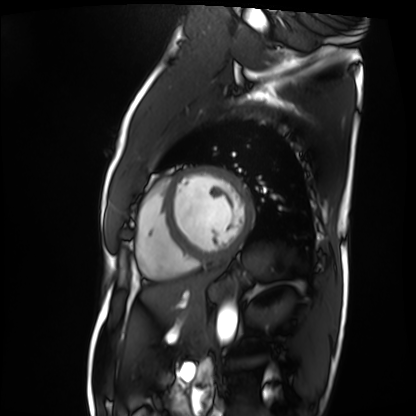
Cardiac MRI.
Subject group: patient.